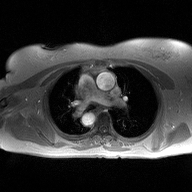
Summary:
2D phase-contrast cine MRI of the ascending aorta, high-resolution GRAPPA acquisition.